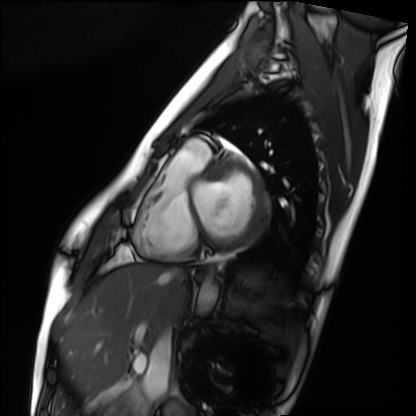
Case summary: Cardiac MRI. Subject group: healthy volunteer.